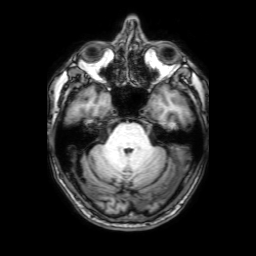
modality: 3 Tesla brain MRI; series: 3D T1-weighted with SENSE; study: ring-enhancing brain masses.